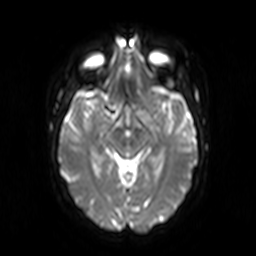
3 Tesla brain MRI.
Series: diffusion-weighted imaging.
Study: ring-enhancing brain masses.